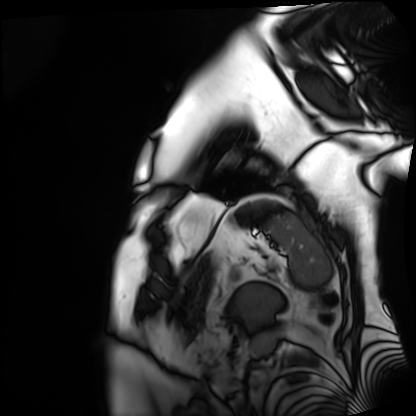
Case summary: Cardiac MRI. Subject group: patient.